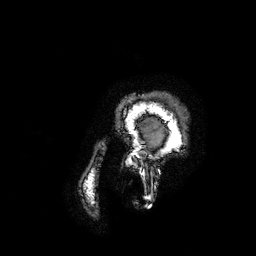
Case:
– modality · 3 Tesla brain MRI
– series · 3D T1-weighted turbo field echo with SENSE
– study · ring-enhancing brain masses